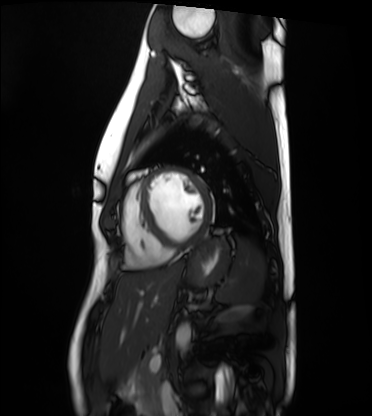
Q: What kind of scan is this?
A: Cardiac MRI.
Subject group: healthy volunteer.